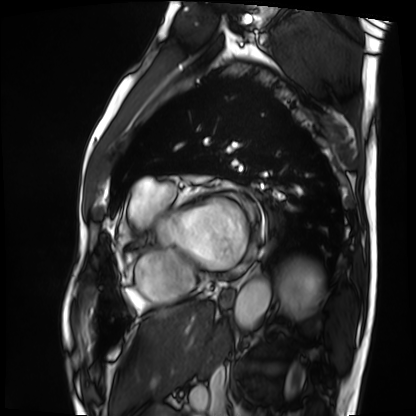
Case summary: Cardiac MRI. Subject group: patient.